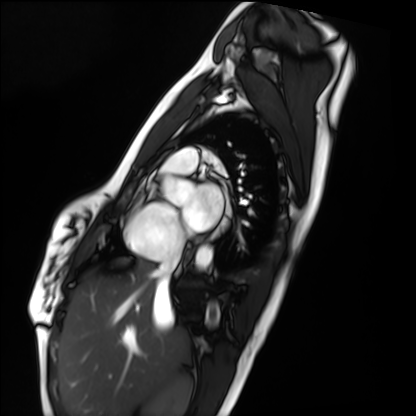
Summary: Cardiac MRI. Subject group: healthy volunteer.